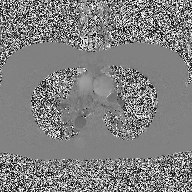
2D phase-contrast cine MRI of the ascending aorta, high-resolution GRAPPA acquisition.